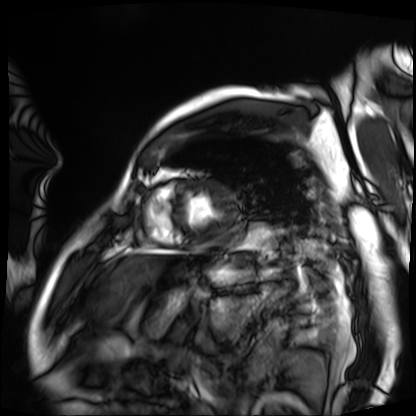
Q: What kind of scan is this?
A: Cardiac MRI.
Subject group: patient.